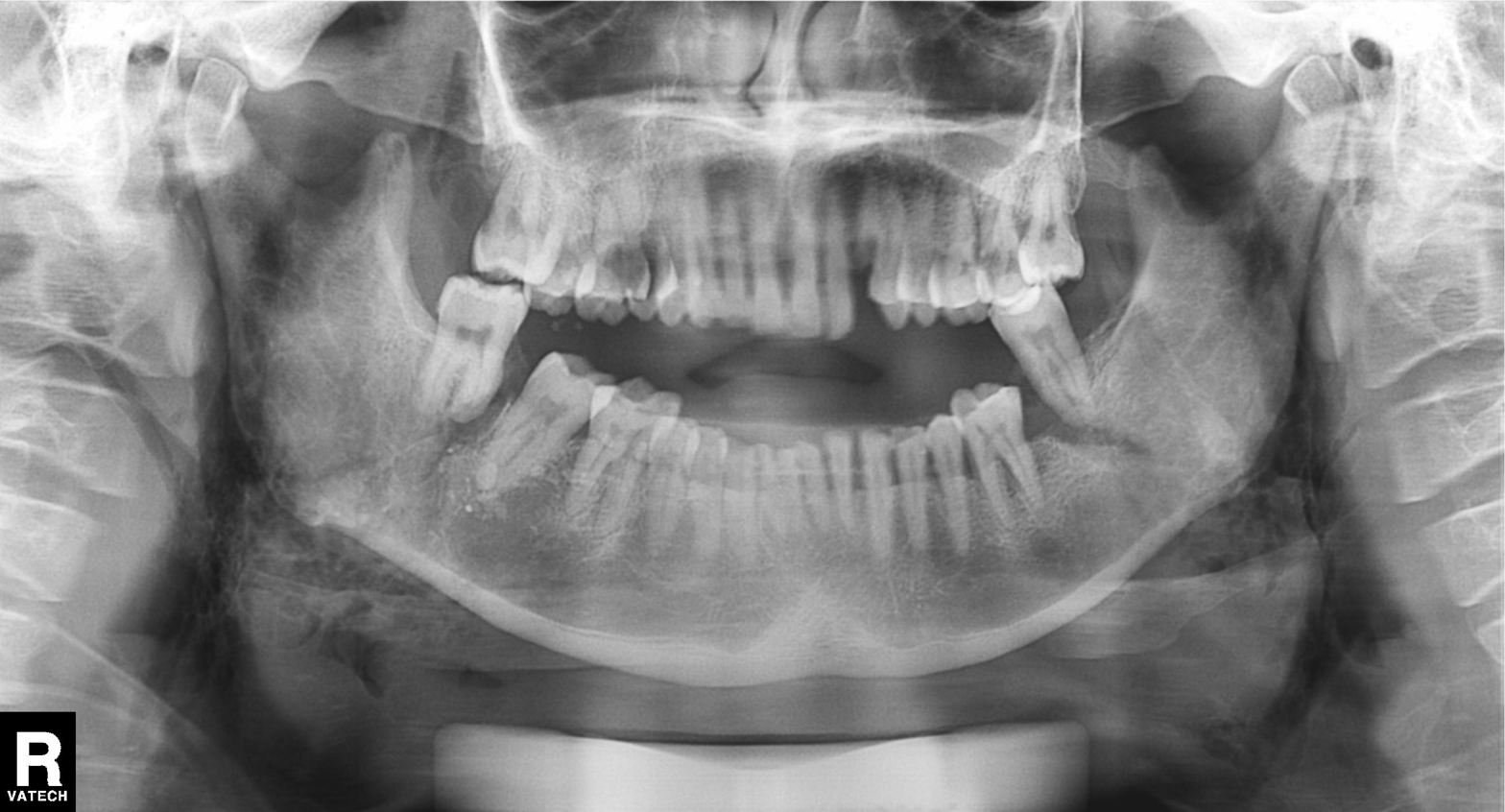
modality = panoramic dental radiograph (orthopantomogram)
finding = alveolar bone loss